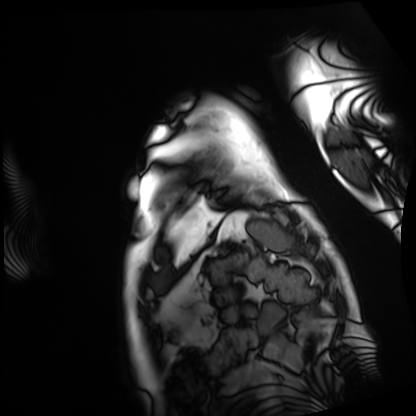
Cardiac MRI. Subject group: patient.